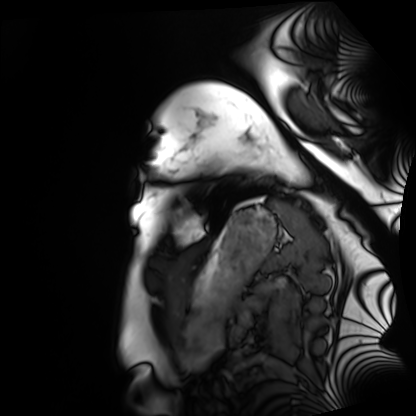
modality — cardiac MRI; subject group — healthy volunteer.